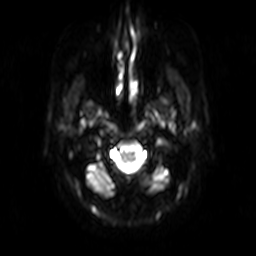
* modality — 3 Tesla brain MRI
* series — diffusion-weighted imaging
* study — ring-enhancing brain masses